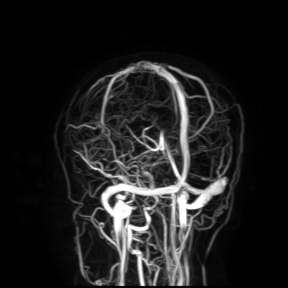
3 Tesla brain MRI.
Study: ring-enhancing brain masses.